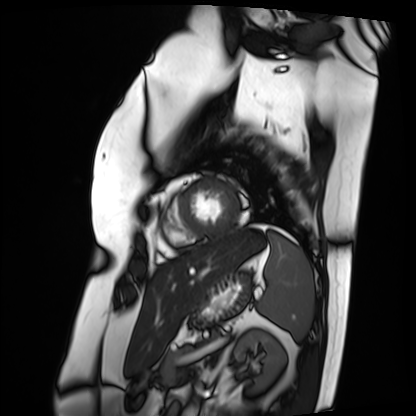
| field | value |
|---|---|
| modality | cardiac MRI |
| subject group | patient |